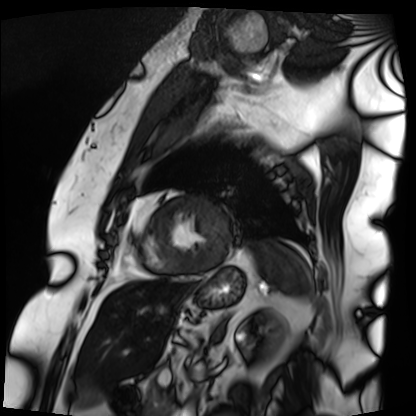
modality=cardiac MRI; subject group=patient.